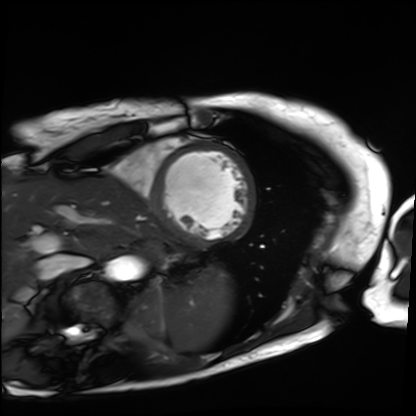
- modality — cardiac MRI
- subject group — patient